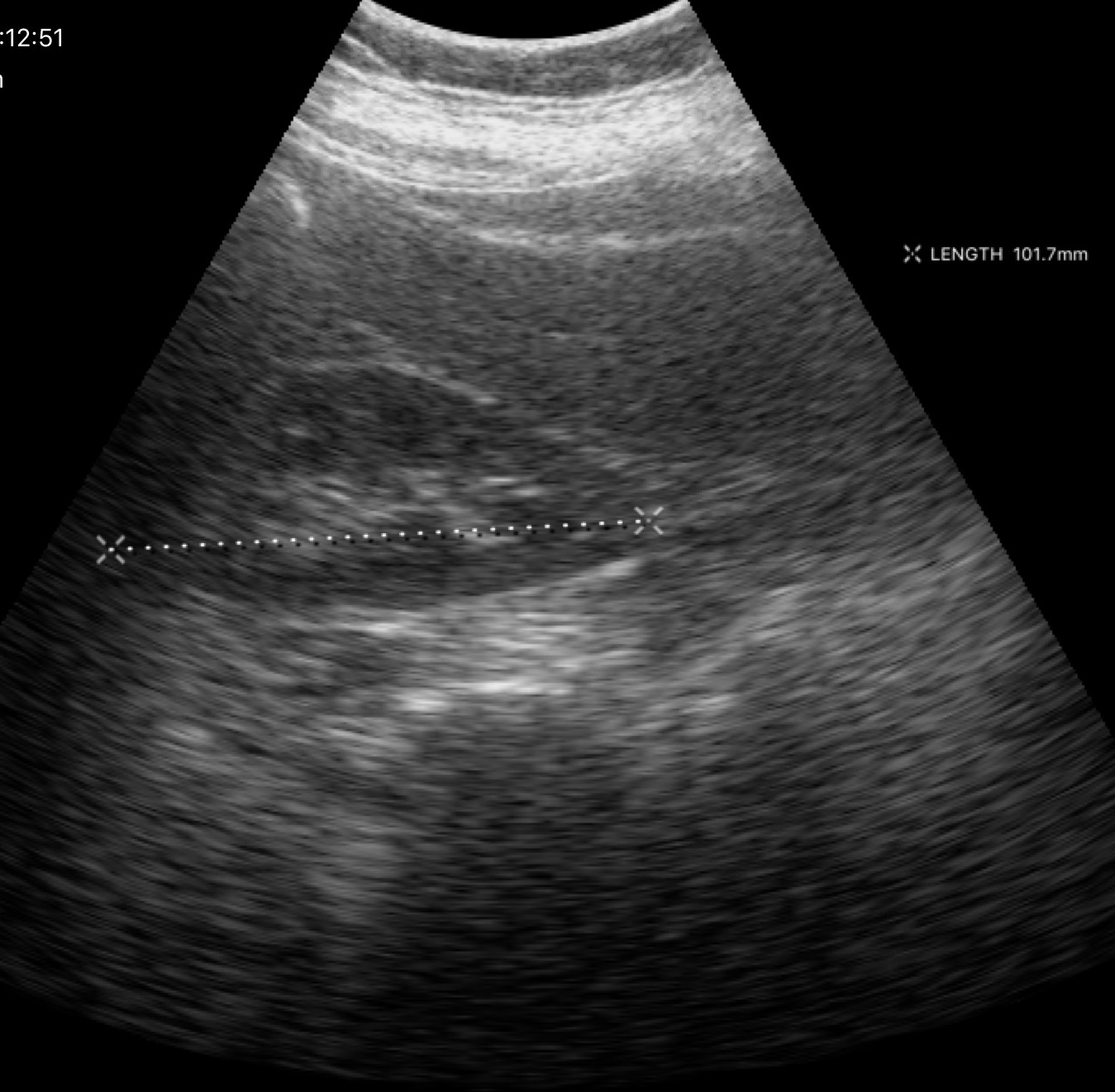
{"modality": {"type": "genitourinary ultrasound"}}